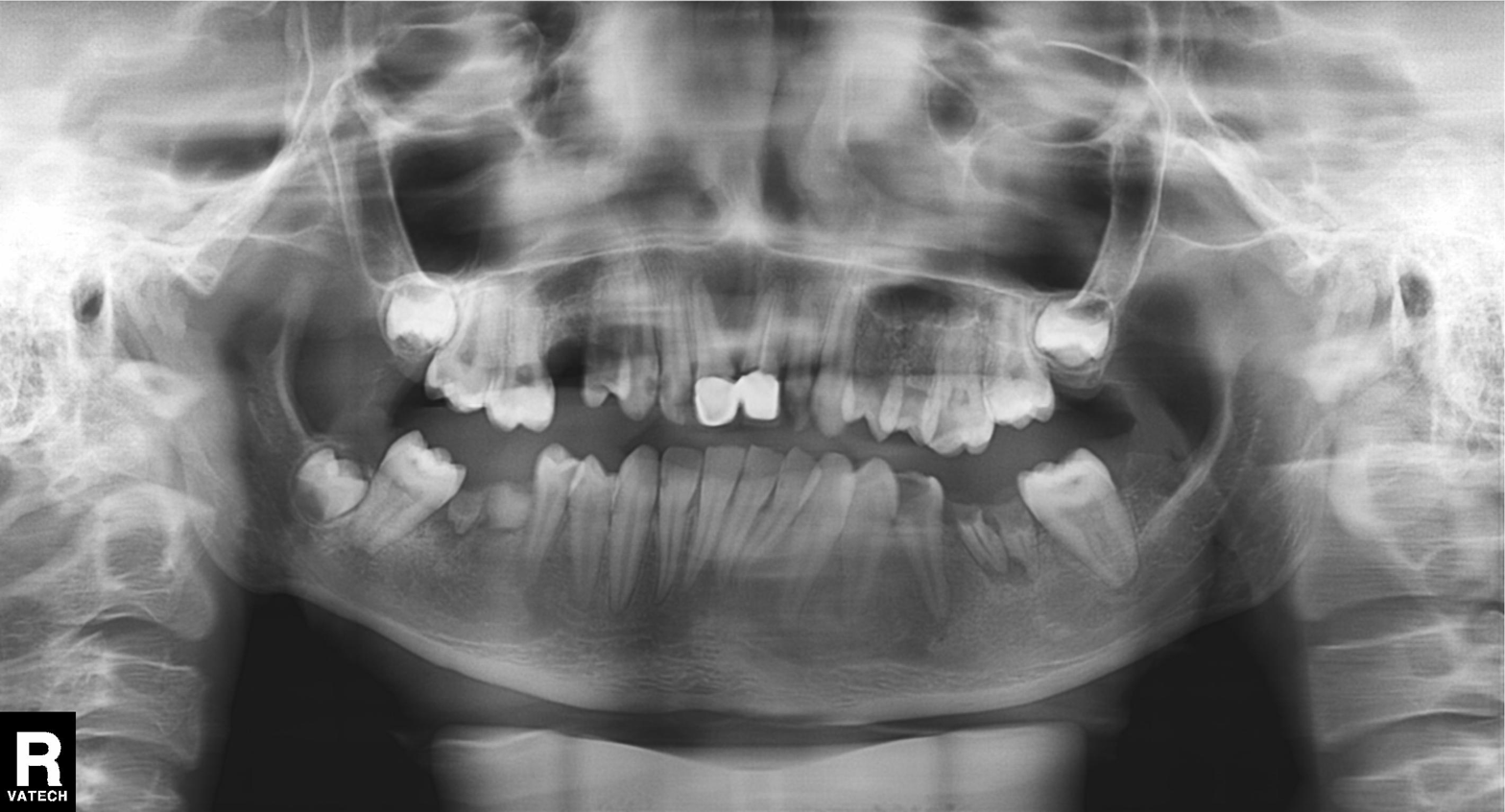
| field | value |
|---|---|
| modality | panoramic dental radiograph (orthopantomogram) |
| finding | dental caries (cavities) |